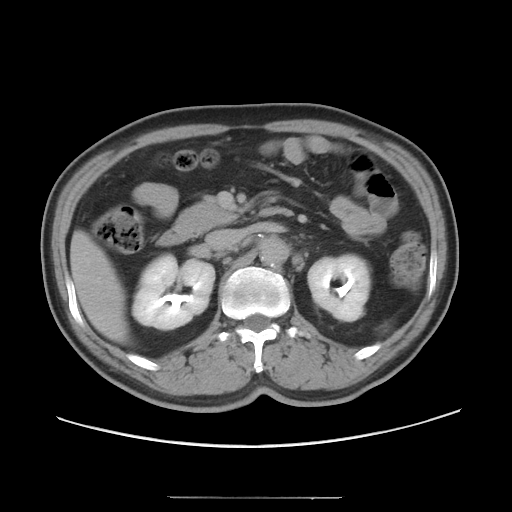
modality = multiphase abdominal CT, liver, delayed phase; patient = male, age 54; history = viral hepatitis.